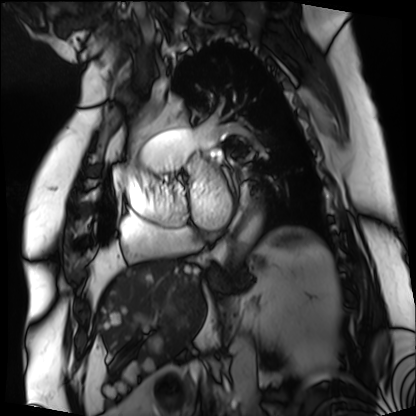
<study>
  <modality>cardiac MRI</modality>
  <cohort>patient</cohort>
</study>